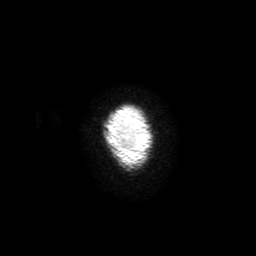
3 Tesla brain MRI. Series: 3D T1-weighted with SENSE. Study: ring-enhancing brain masses.